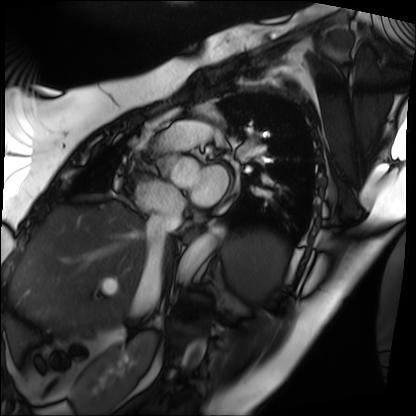
Cardiac MRI. Subject group: patient.